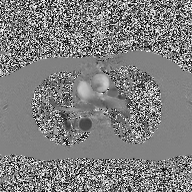
modality = 2D phase-contrast cine MRI of the ascending aorta.